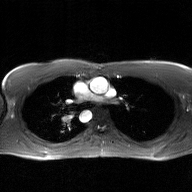
Clinical context:
2D phase-contrast cine MRI of the ascending aorta, GAN super-resolution reconstruction.